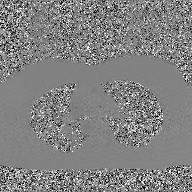
* modality · 2D phase-contrast cine MRI of the ascending aorta, GAN super-resolution reconstruction